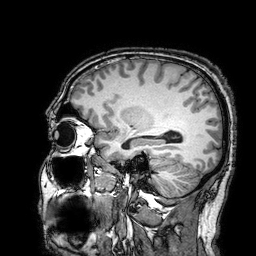
3 Tesla brain MRI. Series: 3D T1-weighted turbo field echo with SENSE. Study: ring-enhancing brain masses.